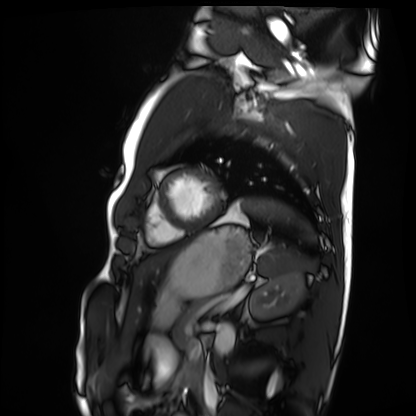
Cardiac MRI. Subject group: healthy volunteer.